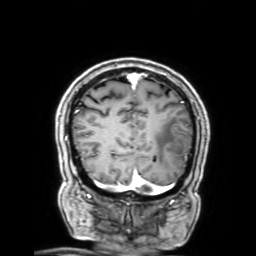
| field | value |
|---|---|
| modality | 3 Tesla brain MRI |
| series | 3D T1-weighted with SENSE |
| study | ring-enhancing brain masses |